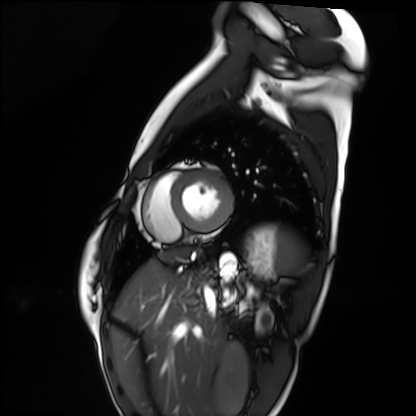
Summary: Cardiac MRI. Subject group: healthy volunteer.